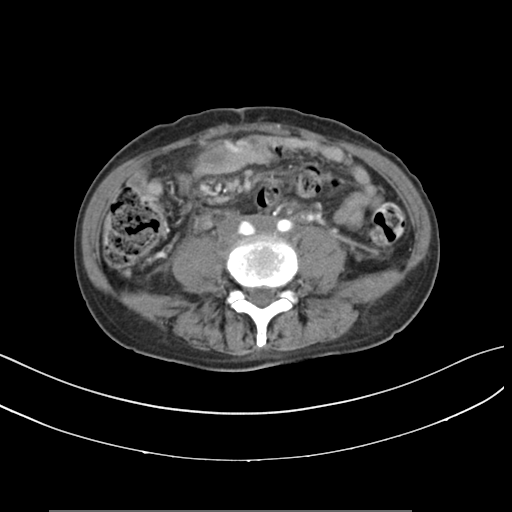
modality=multiphase abdominal CT, liver, arterial phase; patient=female, age 59.